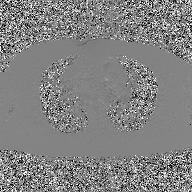
Clinical context: 2D phase-contrast cine MRI of the ascending aorta, GAN super-resolution reconstruction.